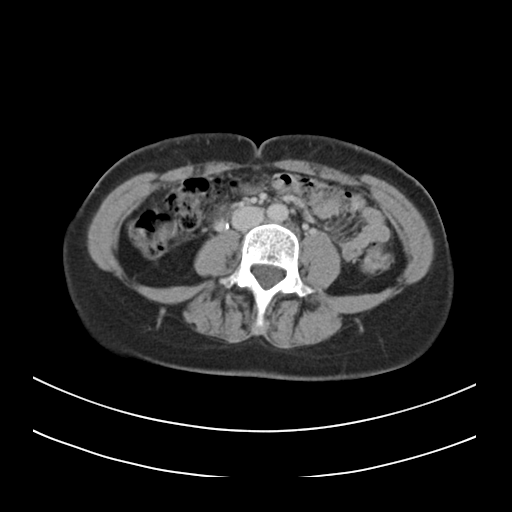
| field | value |
|---|---|
| modality | multiphase abdominal CT, liver, delayed phase |
| patient | female, age 39 |
| history | prior chemotherapy |